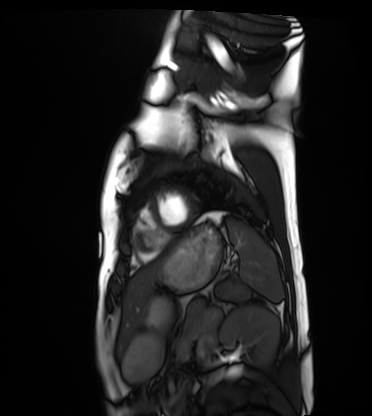
Cardiac MRI. Subject group: healthy volunteer.